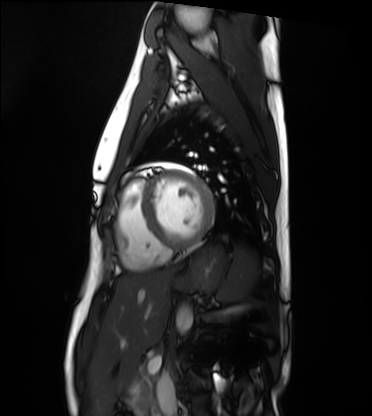
Summary:
Cardiac MRI. Subject group: healthy volunteer.